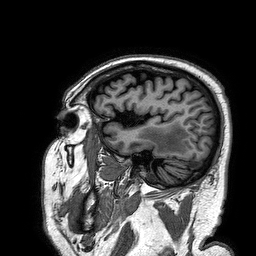
3 Tesla brain MRI. Series: 3D T1-weighted turbo field echo. Study: ring-enhancing brain masses.